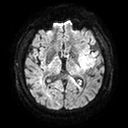
modality:
  type: brain MRI
  field_strength: 3T
series: diffusion tensor imaging (medium iso)
study_topic: ring-enhancing brain masses